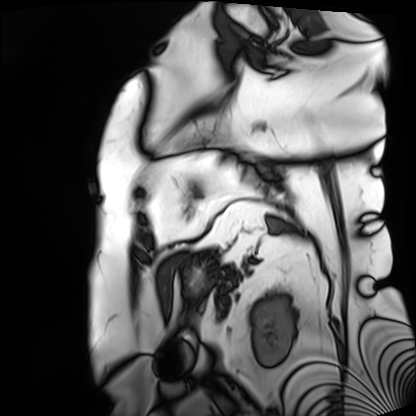
Case:
- modality · cardiac MRI
- subject group · patient